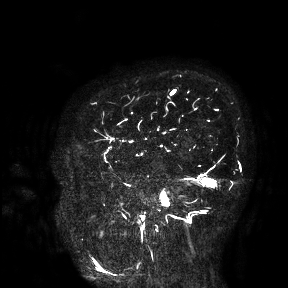
{
  "modality": {
    "type": "brain MRI",
    "field_strength": "3T"
  },
  "study_topic": "ring-enhancing brain masses"
}